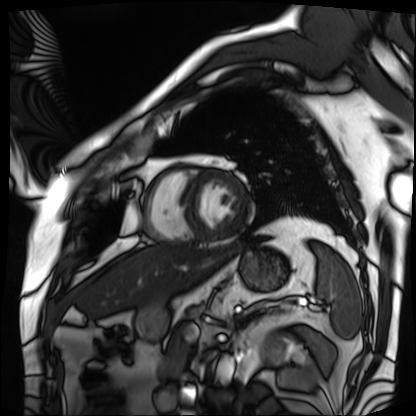
modality: cardiac MRI
cohort: patient